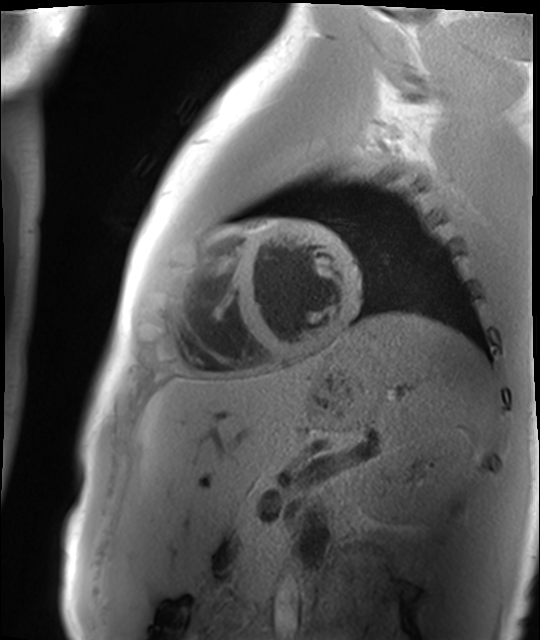
* modality: cardiac MR image of the myocardium
* subject cohort: healthy volunteer